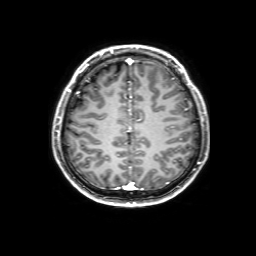
  modality:
    type: brain MRI
    field_strength: 3T
  series: 3D T1-weighted with SENSE
  study_topic: ring-enhancing brain masses